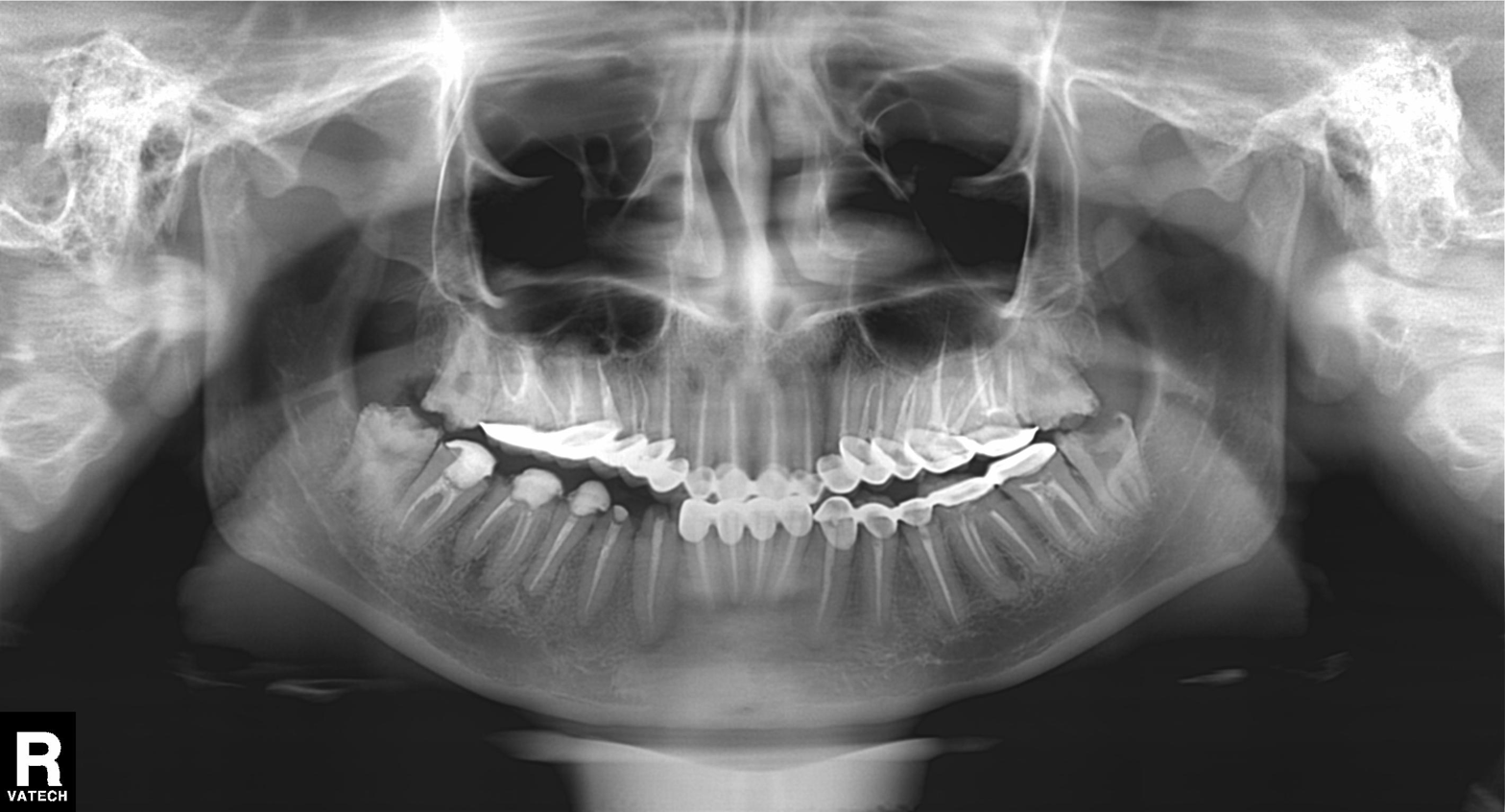
<scan>
<modality>panoramic dental radiograph (orthopantomogram)</modality>
<finding>tooth impaction</finding>
</scan>